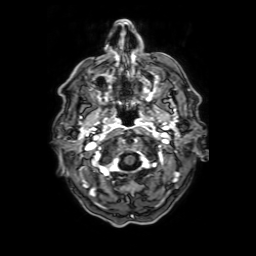
• modality: 3 Tesla brain MRI
• series: axial T1-weighted fusion image
• study: ring-enhancing brain masses